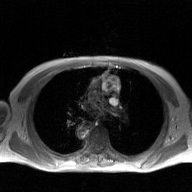
{"modality": {"type": "2D phase-contrast cine MRI", "region": "ascending aorta", "reconstruction": "GAN super-resolution reconstruction"}}